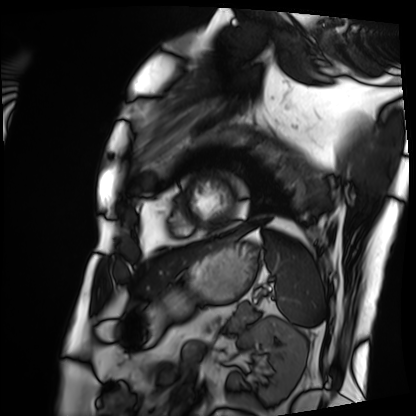
modality: cardiac MRI
subject group: patient